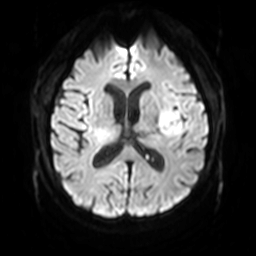
<scan>
<modality>
  <type>brain MRI</type>
  <field_strength>3T</field_strength>
</modality>
<series>diffusion-weighted imaging with SENSE (WIP)</series>
<study_topic>ring-enhancing brain masses</study_topic>
</scan>